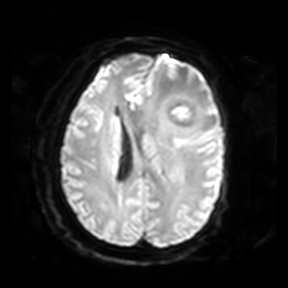
Summary: 3 Tesla brain MRI. Series: diffusion-weighted imaging. Study: ring-enhancing brain masses.